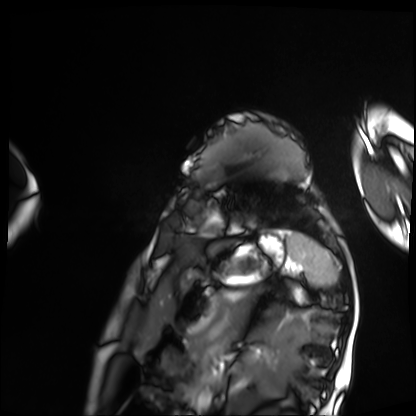
<study>
  <modality>cardiac MRI</modality>
  <cohort>patient</cohort>
</study>